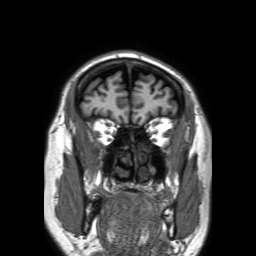
Q: What kind of scan is this?
A: 3 Tesla brain MRI.
Q: Series?
A: 3D T1-weighted TFE with SENSE.
Study: ring-enhancing brain masses.